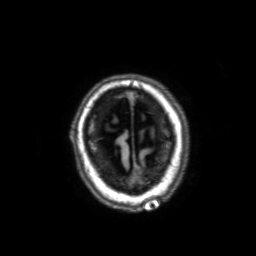
Q: What kind of scan is this?
A: 3 Tesla brain MRI.
Q: Series?
A: 3D T1-weighted with SENSE.
Study: ring-enhancing brain masses.